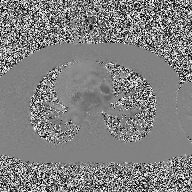
2D phase-contrast cine MRI of the ascending aorta, high-resolution GRAPPA acquisition.